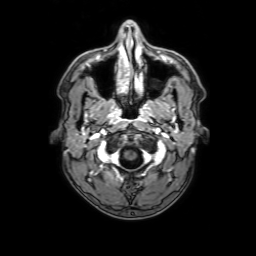
3 Tesla brain MRI.
Series: 3D T1-weighted with SENSE.
Study: ring-enhancing brain masses.